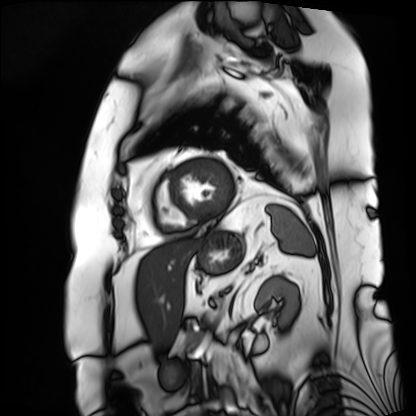
<scan>
  <modality>cardiac MRI</modality>
  <cohort>patient</cohort>
</scan>